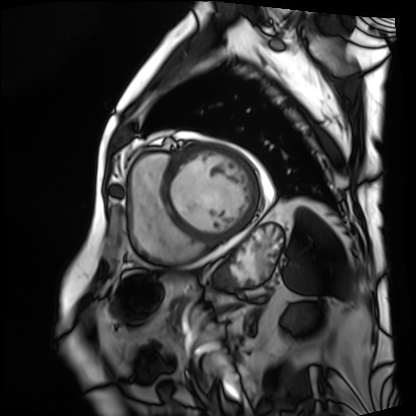
{"modality": "cardiac MRI", "cohort": "patient"}